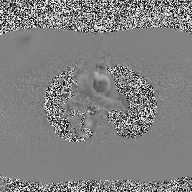
2D phase-contrast cine MRI of the ascending aorta, high-resolution GRAPPA acquisition.